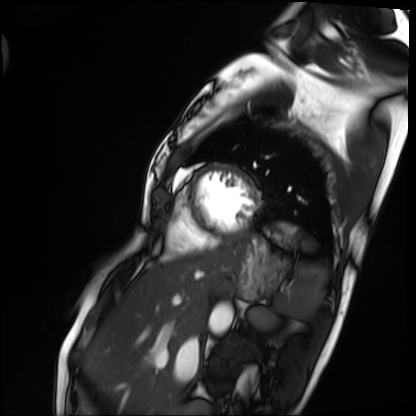
Q: What kind of scan is this?
A: Cardiac MRI.
Subject group: patient.